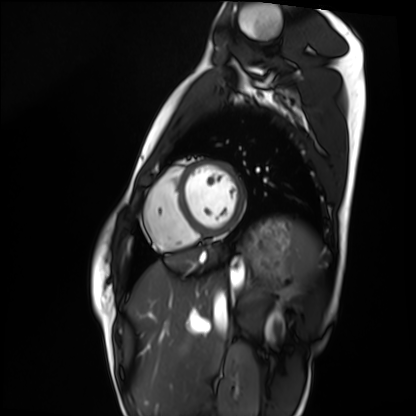
| field | value |
|---|---|
| modality | cardiac MRI |
| subject group | healthy volunteer |